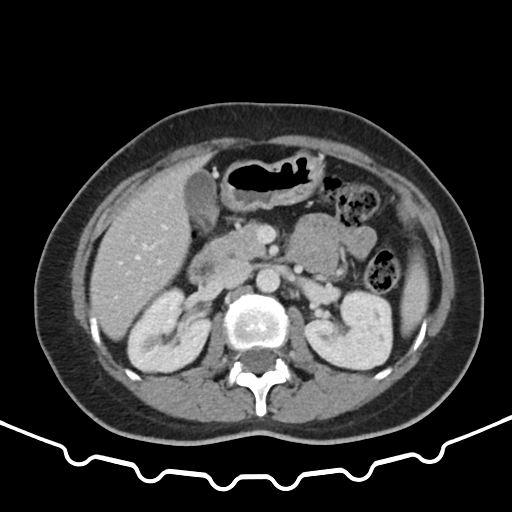
modality = multiphase abdominal CT, liver, portal venous phase; patient = female, age 43.